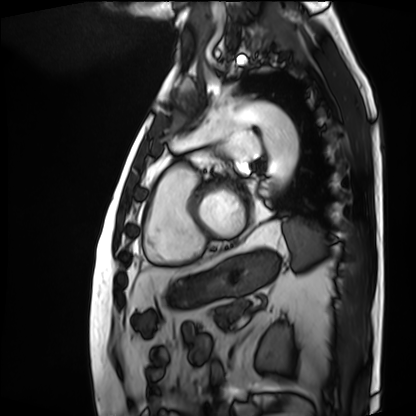
{"modality": "cardiac MRI", "cohort": "patient"}